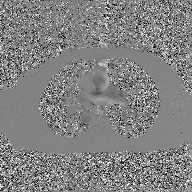
2D phase-contrast cine MRI of the ascending aorta, GAN super-resolution reconstruction.